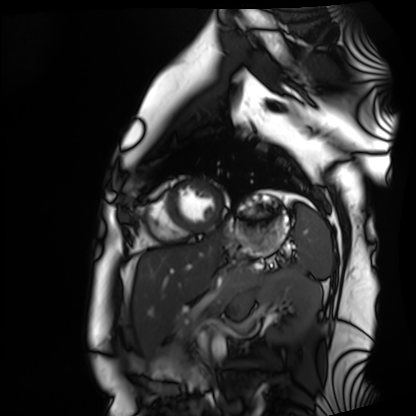
modality — cardiac MRI | subject group — healthy volunteer.